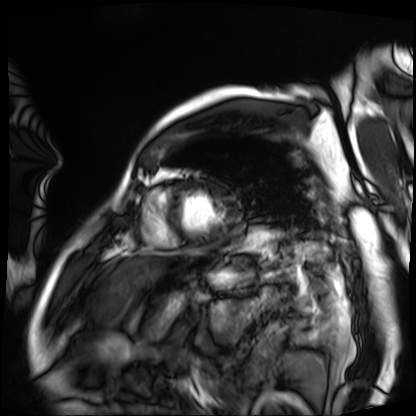
<record>
  <modality>cardiac MRI</modality>
  <cohort>patient</cohort>
</record>